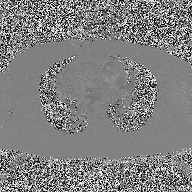
2D phase-contrast cine MRI of the ascending aorta, high-resolution GRAPPA acquisition.